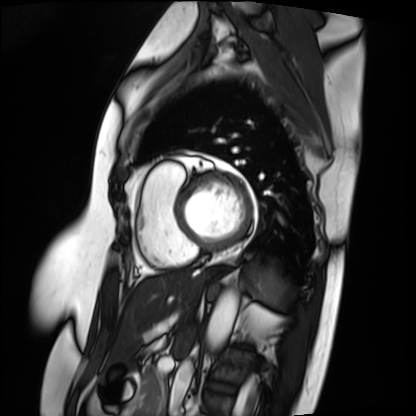
modality: cardiac MRI
cohort: patient